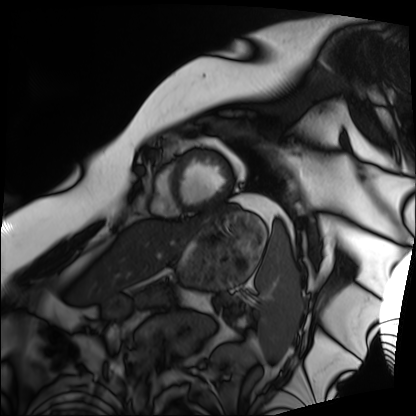
modality: cardiac MRI; subject group: patient.